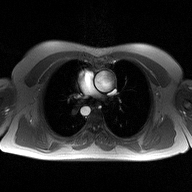
Q: What kind of scan is this?
A: 2D phase-contrast cine MRI of the ascending aorta.